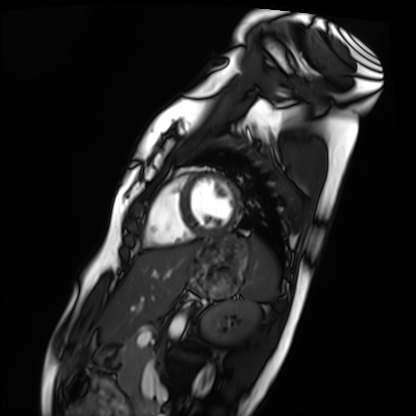
Cardiac MRI.
Subject group: healthy volunteer.